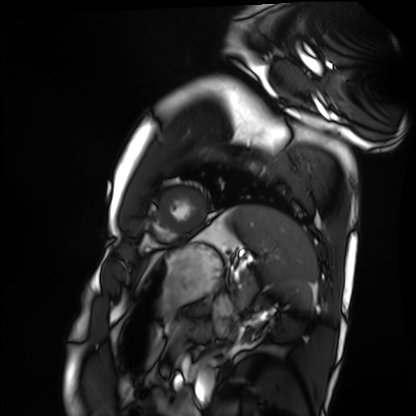
{"modality": "cardiac MRI", "cohort": "healthy volunteer"}